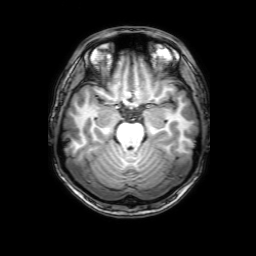
Summary: 3 Tesla brain MRI. Study: ring-enhancing brain masses.